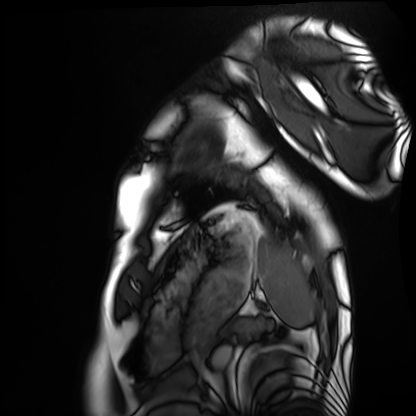
Q: What kind of scan is this?
A: Cardiac MRI.
Subject group: healthy volunteer.